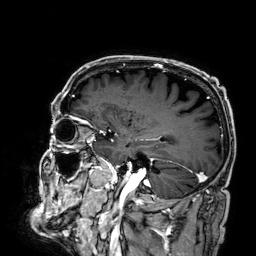
| field | value |
|---|---|
| modality | 3 Tesla brain MRI |
| series | 3D T1-weighted |
| study | ring-enhancing brain masses |